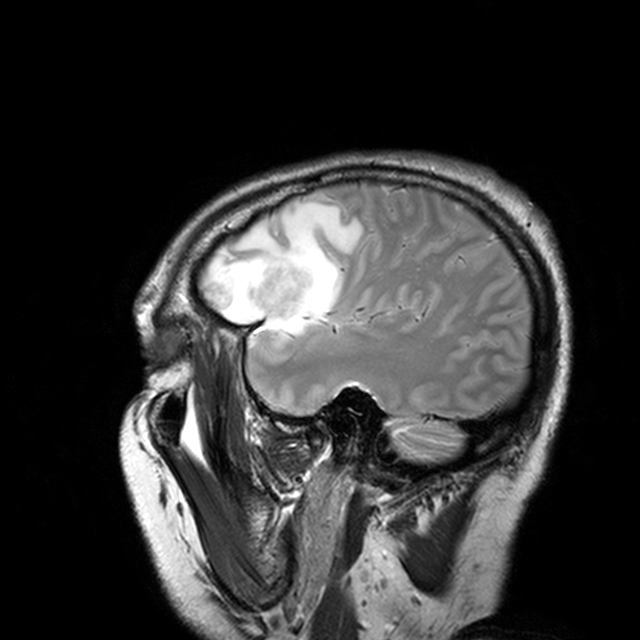
Case:
• modality — 3 Tesla brain MRI
• series — T2-weighted turbo spin echo with CLEAR
• study — ring-enhancing brain masses